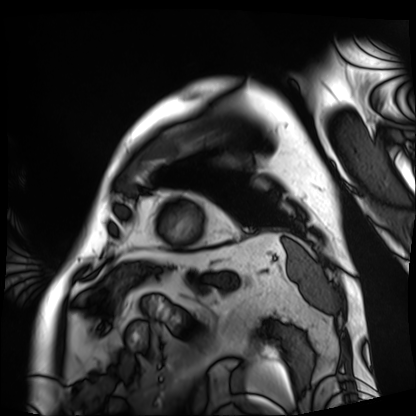
Cardiac MRI. Subject group: patient.